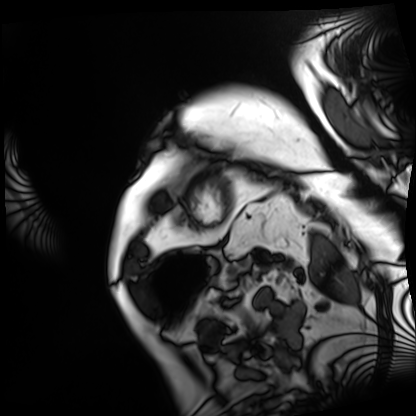
Q: What kind of scan is this?
A: Cardiac MRI.
Subject group: patient.